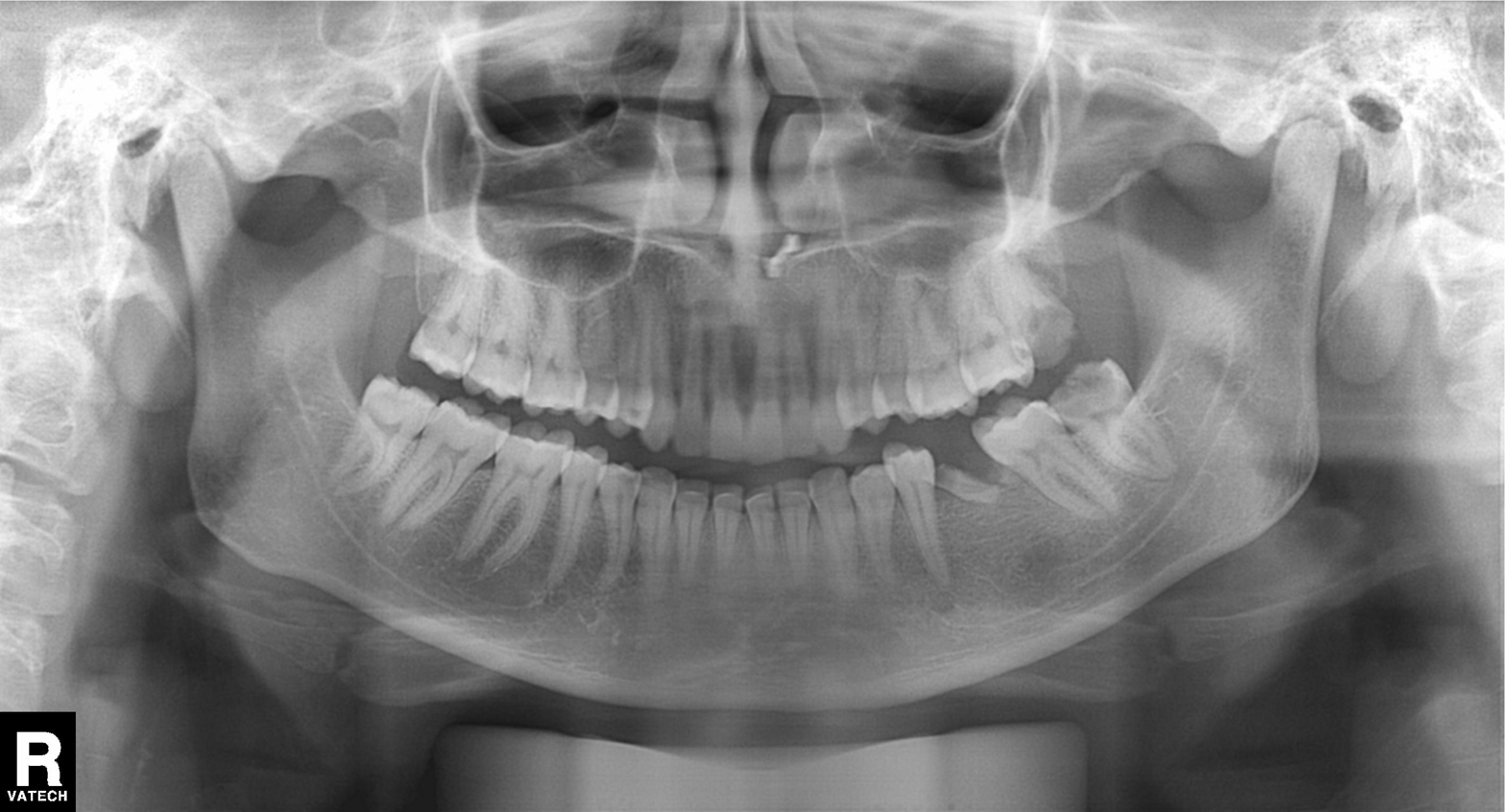
modality: panoramic dental radiograph (orthopantomogram), finding: tooth impaction.